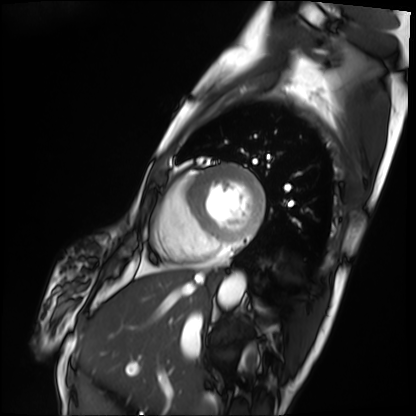
Summary: Cardiac MRI. Subject group: patient.